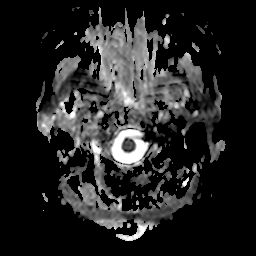
modality=3 Tesla brain MRI; series=apparent diffusion coefficient (ADC) map; study=ring-enhancing brain masses.